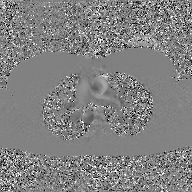
Clinical context: 2D phase-contrast cine MRI of the ascending aorta, GAN super-resolution reconstruction.